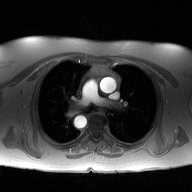
2D phase-contrast cine MRI of the ascending aorta, high-resolution GRAPPA acquisition.